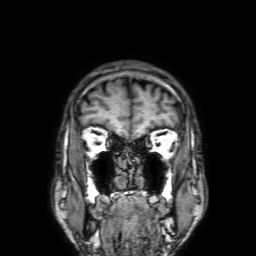
Summary:
3 Tesla brain MRI. Series: 3D T1-weighted with SENSE. Study: ring-enhancing brain masses.